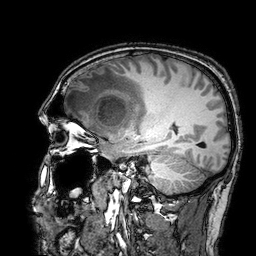
- modality — 3 Tesla brain MRI
- series — 3D T1-weighted turbo field echo with SENSE
- study — ring-enhancing brain masses